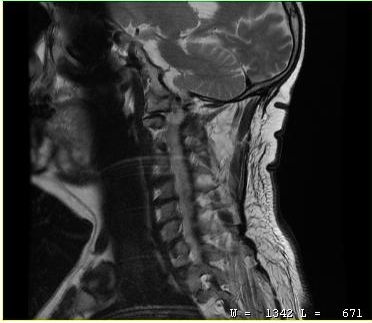
MRI of the cervical spine. Study: cervical spondylosis.